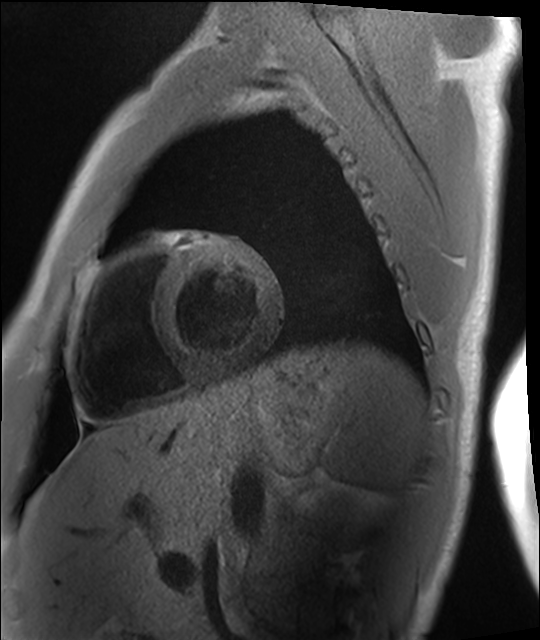
- modality: cardiac MRI
- subject group: healthy volunteer